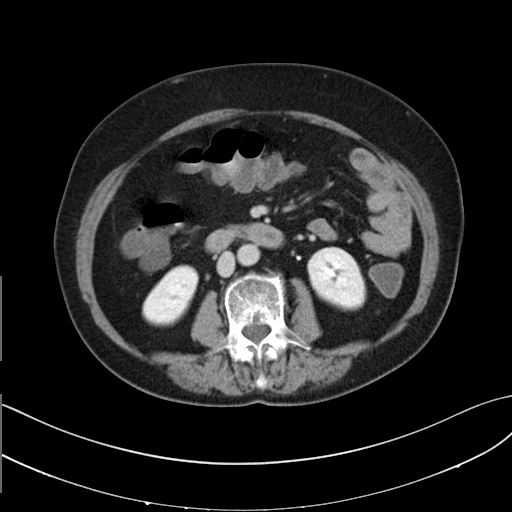
Multiphase abdominal CT, liver, delayed phase.
Patient: female, age 72.